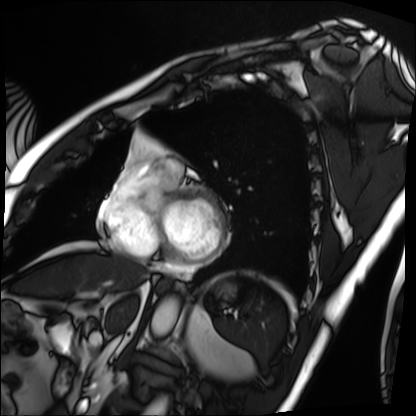
Case summary: Cardiac MRI. Subject group: patient.